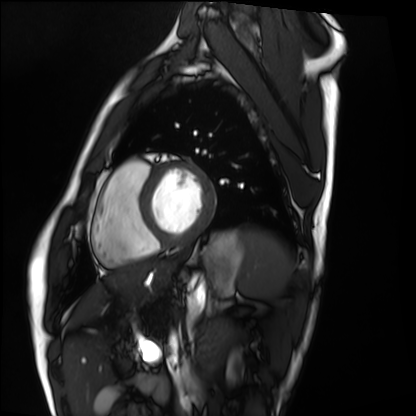
Clinical context: Cardiac MRI. Subject group: healthy volunteer.